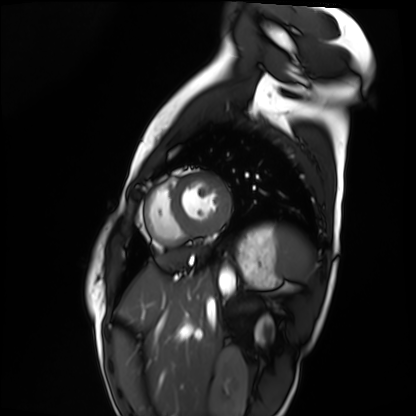
Summary:
Cardiac MRI. Subject group: healthy volunteer.